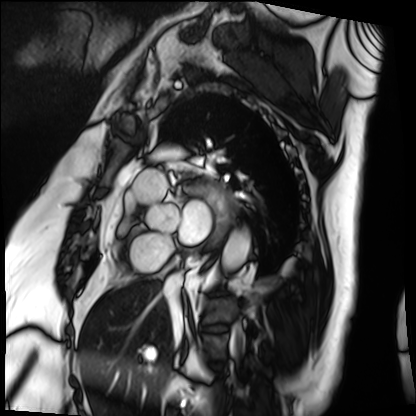
Cardiac MRI. Subject group: patient.